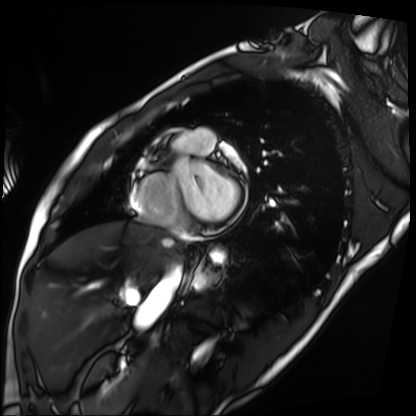
<case>
  <modality>cardiac MRI</modality>
  <cohort>patient</cohort>
</case>